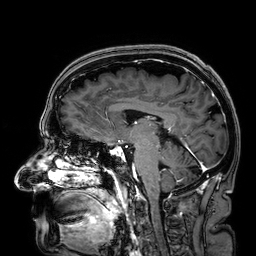
Summary: 3 Tesla brain MRI. Series: 3D T1-weighted. Study: ring-enhancing brain masses.